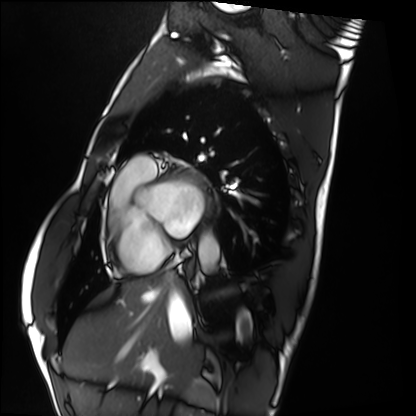
Cardiac MRI.
Subject group: healthy volunteer.